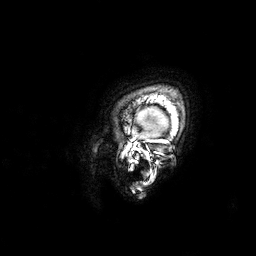
– modality — 3 Tesla brain MRI
– series — 3D T1-weighted
– study — ring-enhancing brain masses